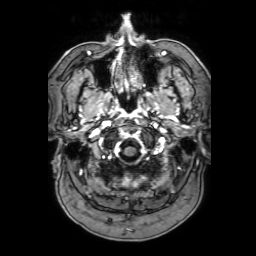
{
  "modality": {
    "type": "brain MRI",
    "field_strength": "3T"
  },
  "series": "3D T1-weighted with SENSE",
  "study_topic": "ring-enhancing brain masses"
}